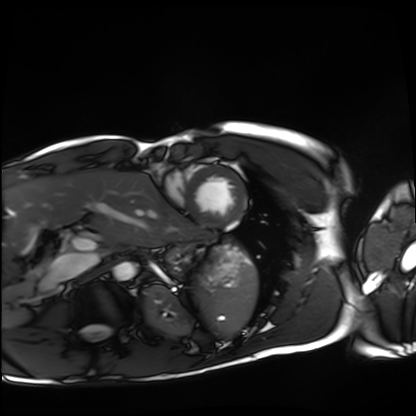
Cardiac MRI.
Subject group: healthy volunteer.